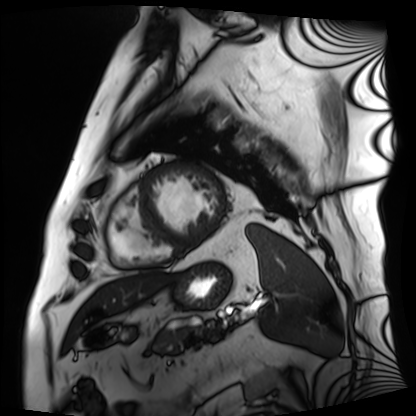
- modality · cardiac MRI
- subject group · patient